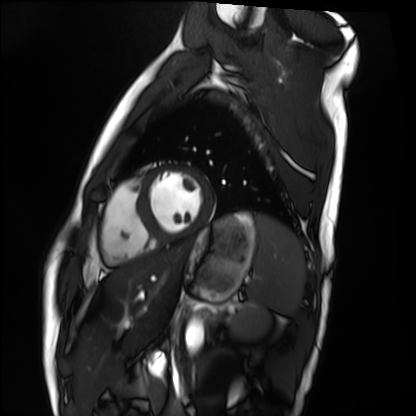
modality: cardiac MRI; subject group: healthy volunteer.